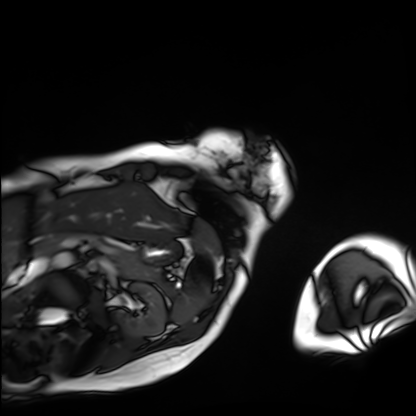
modality = cardiac MRI
subject group = patient